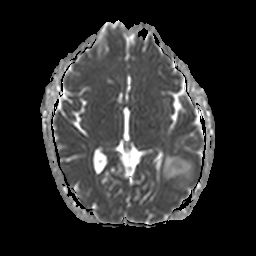
3 Tesla brain MRI. Series: apparent diffusion coefficient (ADC) map. Study: ring-enhancing brain masses.